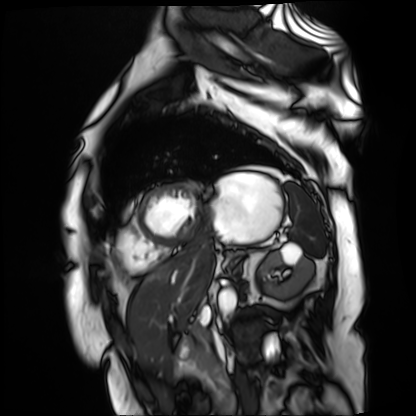
* modality: cardiac MR image of the myocardium
* subject cohort: cardiac patient